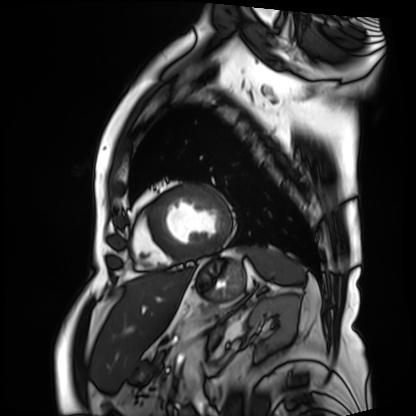
Clinical context: Cardiac MRI. Subject group: patient.